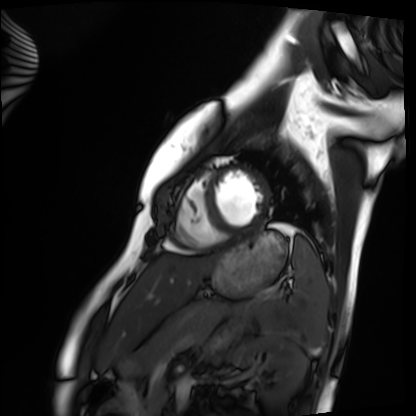
Summary:
Cardiac MRI. Subject group: healthy volunteer.